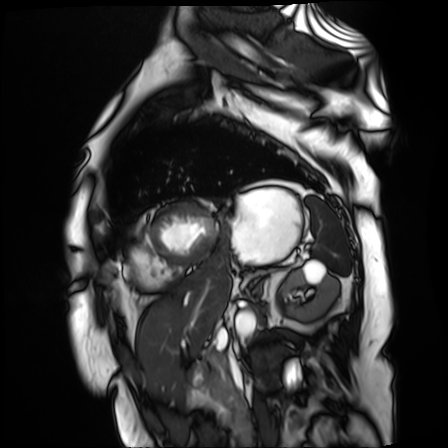
{"modality": "cardiac MR image of the myocardium", "cohort": "cardiac patient"}